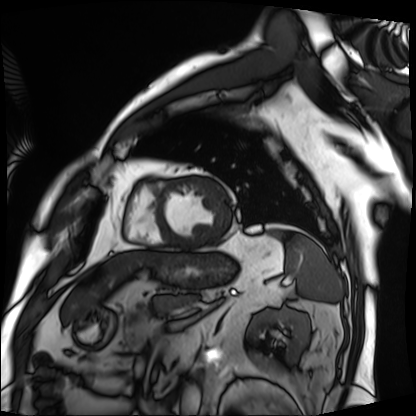
modality = cardiac MRI, subject group = patient.